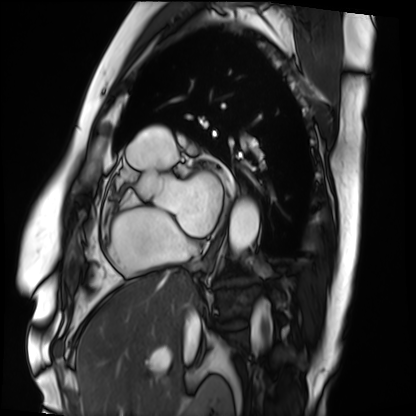
Q: What kind of scan is this?
A: Cardiac MRI.
Subject group: patient.